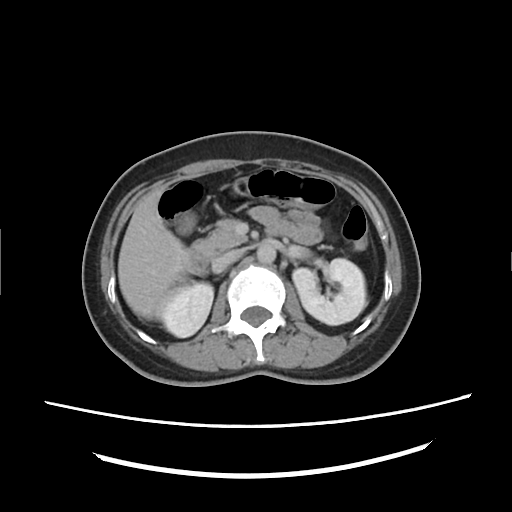
- modality — multiphase abdominal CT, liver, delayed phase